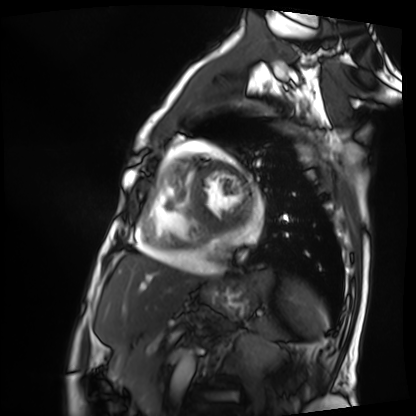
Clinical context:
Cardiac MRI. Subject group: patient.